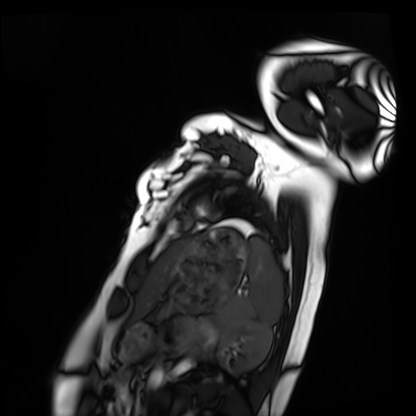
<case>
<modality>cardiac MRI</modality>
<cohort>healthy volunteer</cohort>
</case>